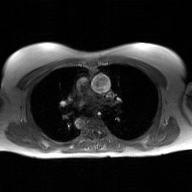
2D phase-contrast cine MRI of the ascending aorta, GAN super-resolution reconstruction.